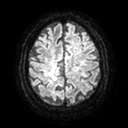
{"modality": {"type": "brain MRI", "field_strength": "3T"}, "series": "diffusion tensor imaging (medium iso)", "study_topic": "ring-enhancing brain masses"}